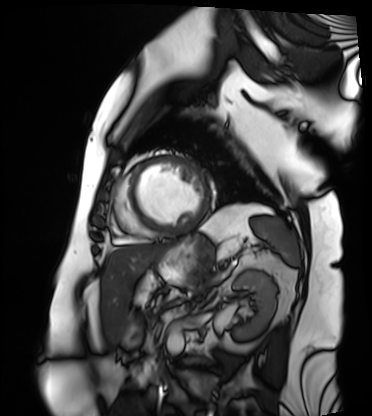
Cardiac MRI.
Subject group: patient.